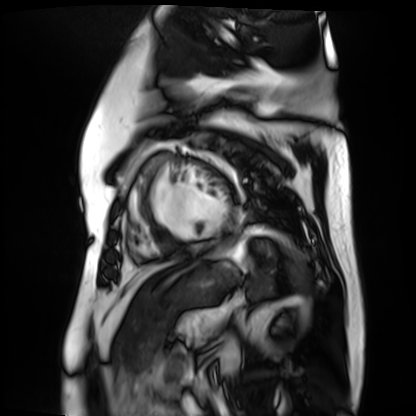
Cardiac MR image of the myocardium. Subject cohort: cardiac patient.